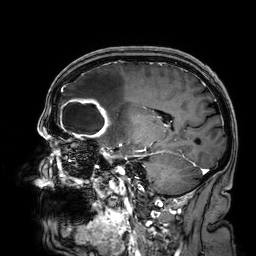
Q: What kind of scan is this?
A: 3 Tesla brain MRI.
Q: Series?
A: 3D T1-weighted.
Study: ring-enhancing brain masses.